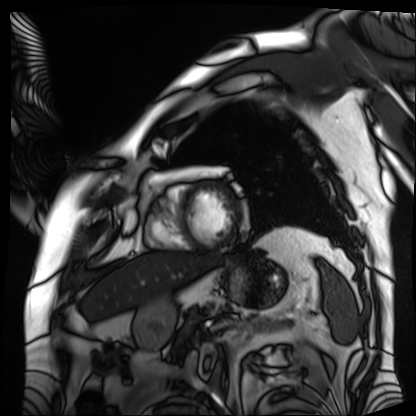
{"modality": "cardiac MRI", "cohort": "patient"}